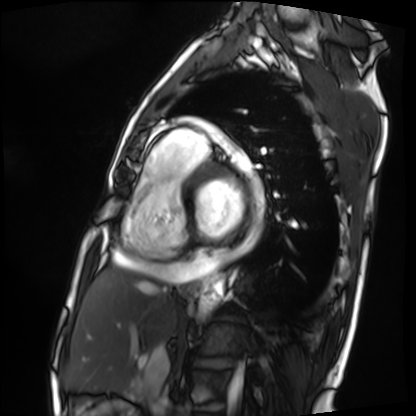
Cardiac MRI. Subject group: patient.